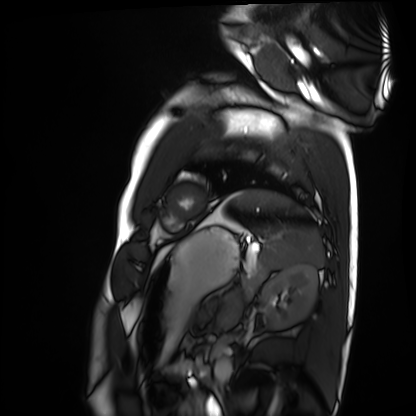
modality=cardiac MRI; subject group=healthy volunteer.